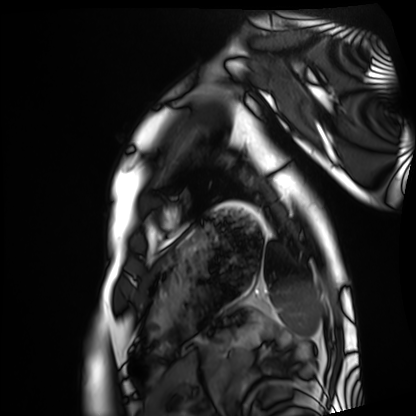
- modality: cardiac MRI
- subject group: healthy volunteer